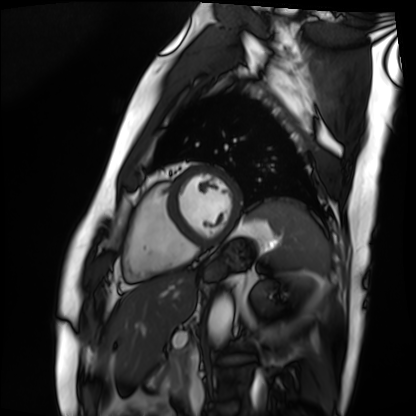
{"modality": "cardiac MRI", "cohort": "patient"}